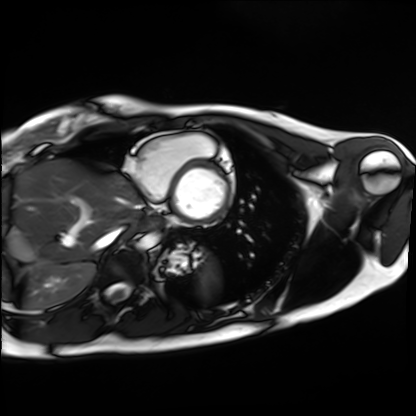
Cardiac MRI. Subject group: healthy volunteer.